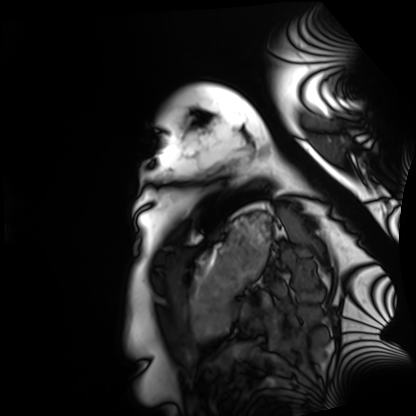
Summary: Cardiac MRI. Subject group: healthy volunteer.